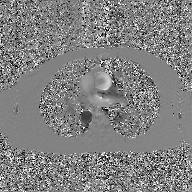
2D phase-contrast cine MRI of the ascending aorta, GAN super-resolution reconstruction.